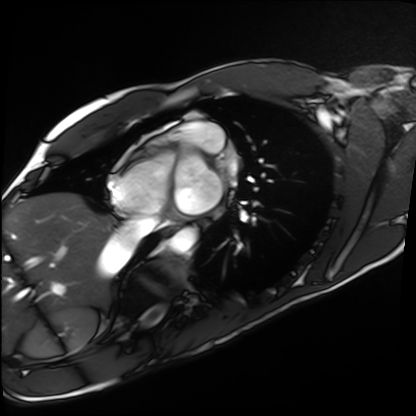
Q: What kind of scan is this?
A: Cardiac MRI.
Subject group: healthy volunteer.